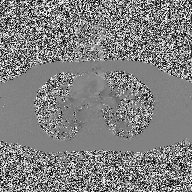
2D phase-contrast cine MRI of the ascending aorta, high-resolution GRAPPA acquisition.